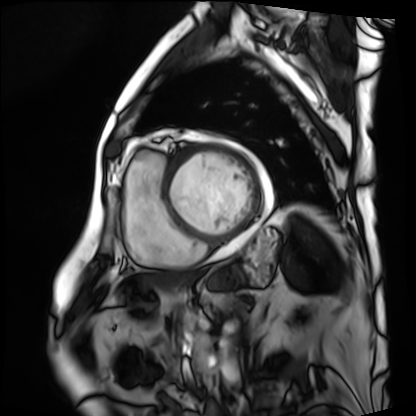
| field | value |
|---|---|
| modality | cardiac MRI |
| subject group | patient |